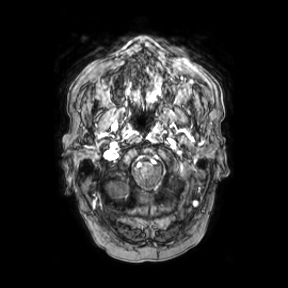
3 Tesla brain MRI. Series: axial. Study: ring-enhancing brain masses.